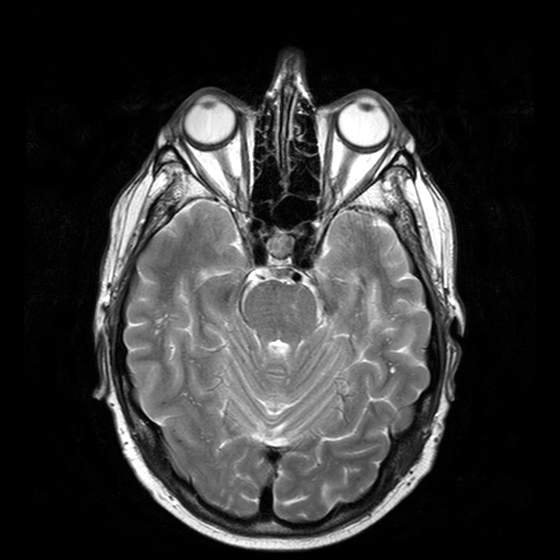
3 Tesla brain MRI. Study: ring-enhancing brain masses.